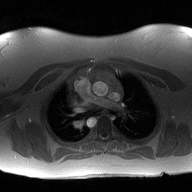
Case summary: 2D phase-contrast cine MRI of the ascending aorta, high-resolution GRAPPA acquisition.